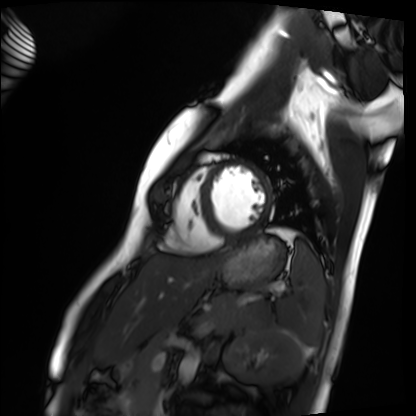
<case>
  <modality>cardiac MRI</modality>
  <cohort>healthy volunteer</cohort>
</case>